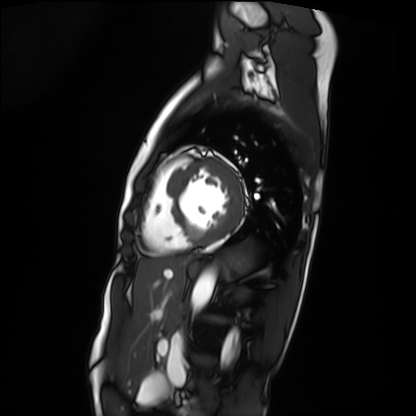
Cardiac MRI. Subject group: patient.